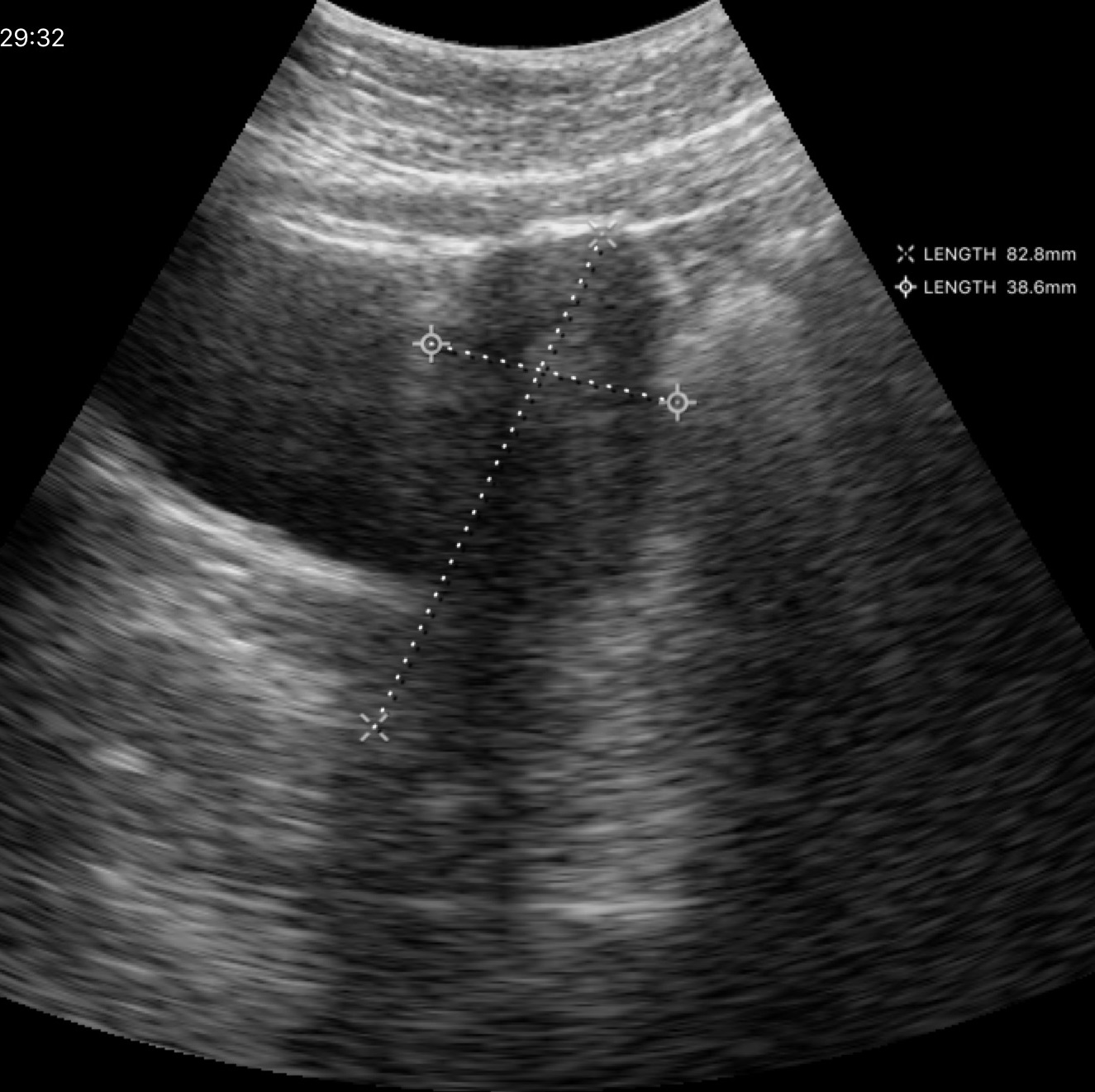
Summary:
Genitourinary ultrasound.